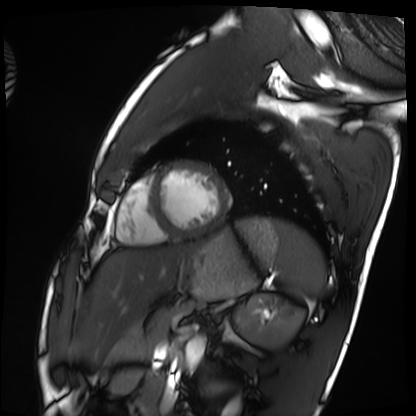
modality = cardiac MRI | subject group = healthy volunteer.